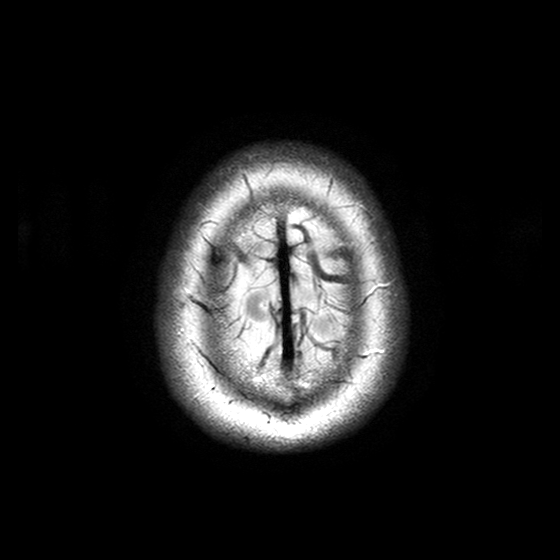
{"modality": {"type": "brain MRI", "field_strength": "3T"}, "series": "T2-weighted turbo spin echo with SENSE", "study_topic": "ring-enhancing brain masses"}